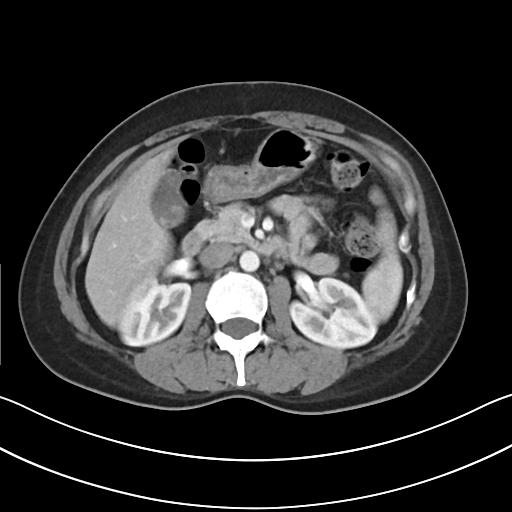
modality: multiphase abdominal CT, liver, arterial phase
patient: female, age 39
history: prior chemotherapy